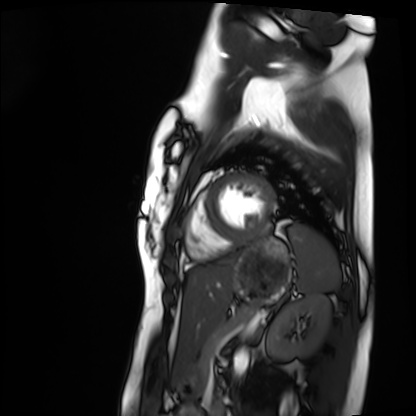
modality = cardiac MRI | subject group = healthy volunteer.